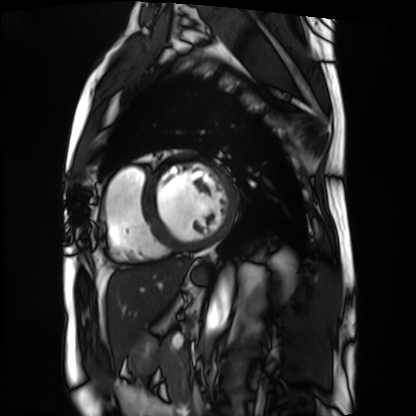
Case summary:
Cardiac MRI. Subject group: patient.